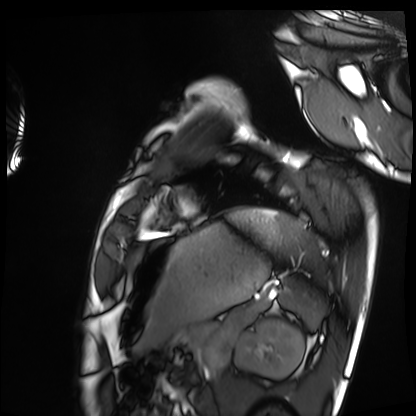
• modality · cardiac MRI
• subject group · healthy volunteer